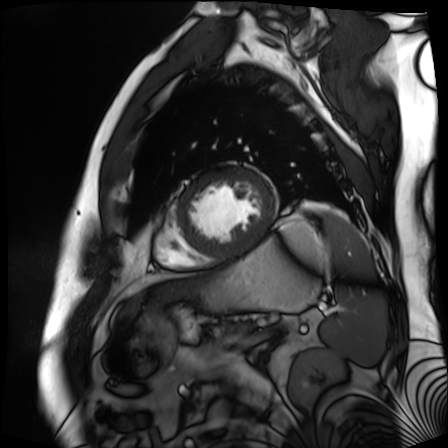
Summary:
Cardiac MR image of the myocardium. Subject cohort: cardiac patient.